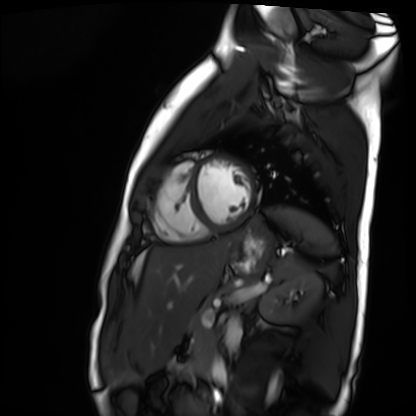
Cardiac MR image of the myocardium.
Subject cohort: healthy volunteer.